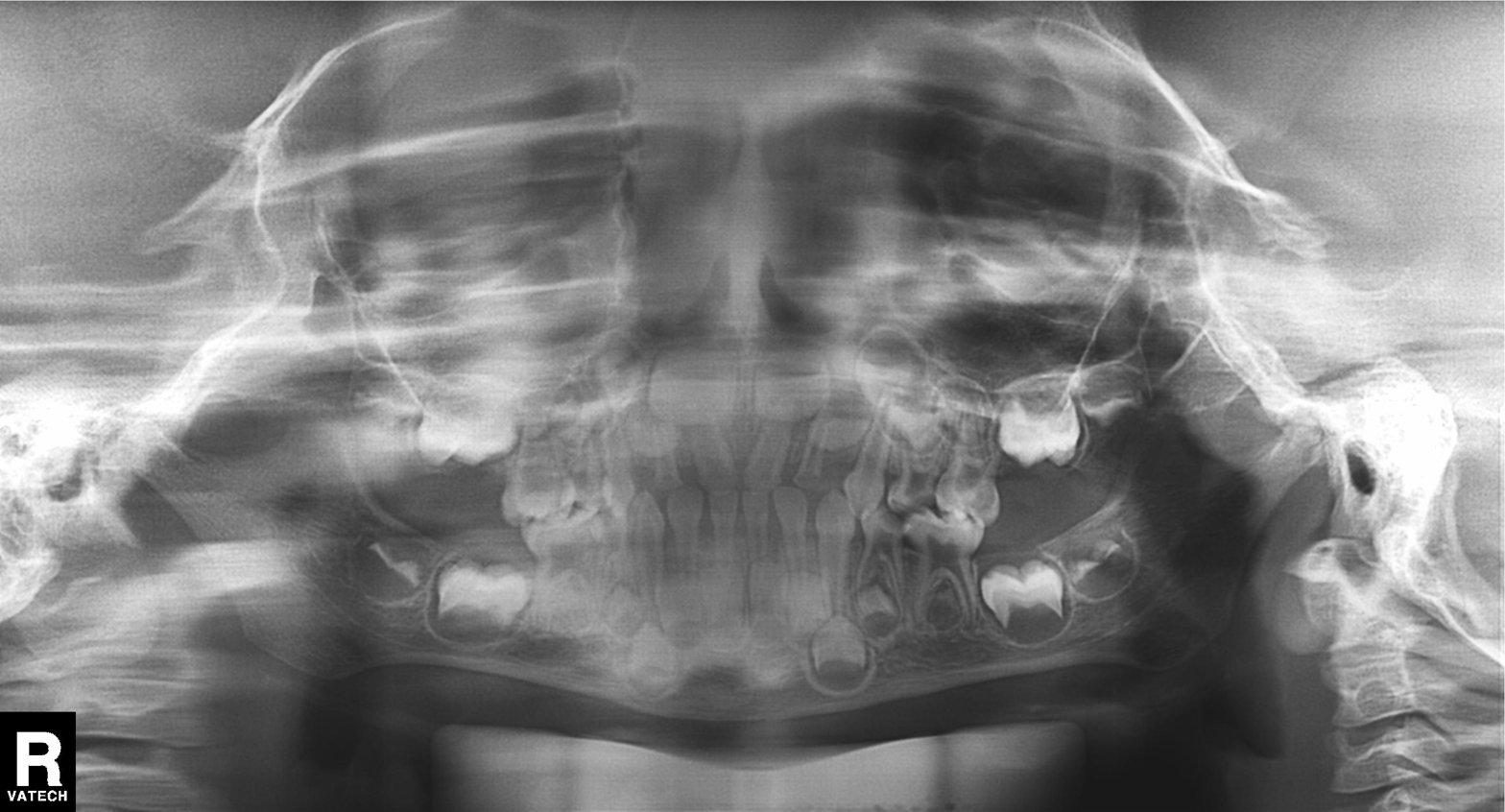
modality: panoramic dental radiograph (orthopantomogram)
finding: alveolar bone loss